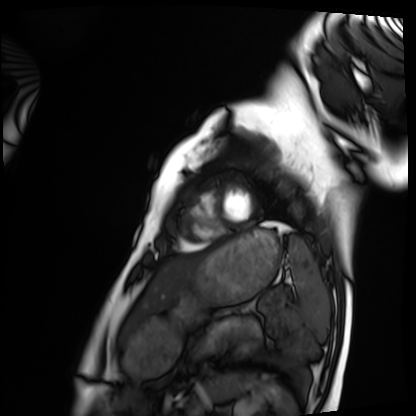
Cardiac MRI. Subject group: healthy volunteer.